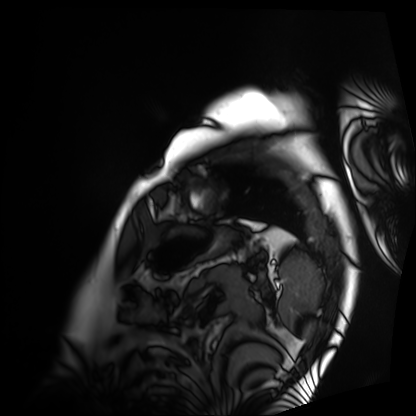
Cardiac MRI.
Subject group: patient.